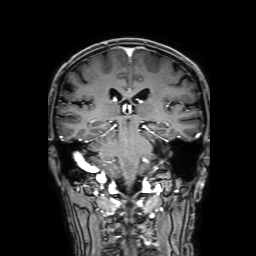
3 Tesla brain MRI. Series: 3D T1-weighted with SENSE. Study: ring-enhancing brain masses.